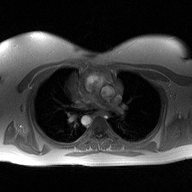
2D phase-contrast cine MRI of the ascending aorta, high-resolution GRAPPA acquisition.